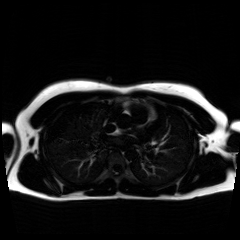
modality: chemical-shift-encoded cardiac MRI